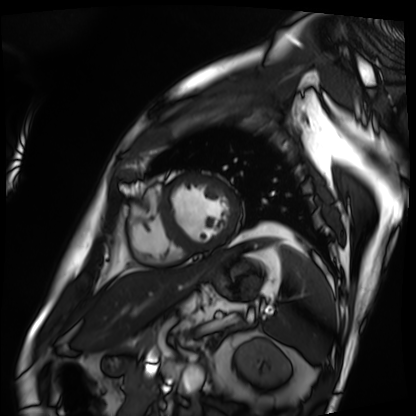
Clinical context: Cardiac MRI. Subject group: patient.